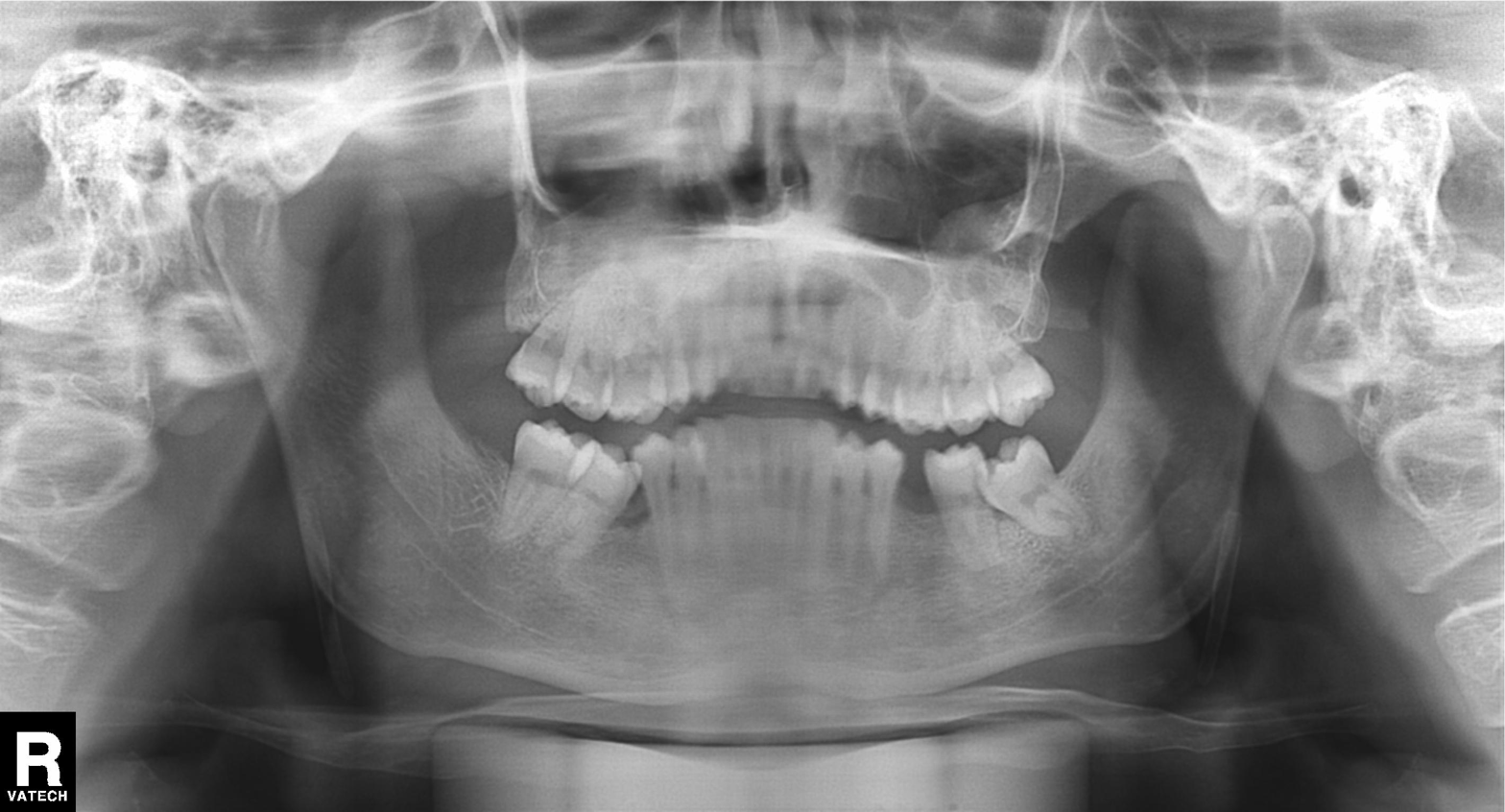
Clinical context: Panoramic dental radiograph (orthopantomogram).
Conclusion: Alveolar bone loss.